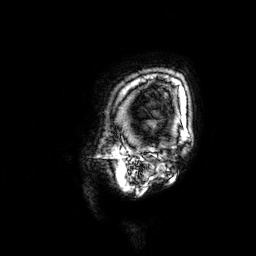
{
  "modality": {
    "type": "brain MRI",
    "field_strength": "3T"
  },
  "series": "3D T1-weighted",
  "study_topic": "ring-enhancing brain masses"
}